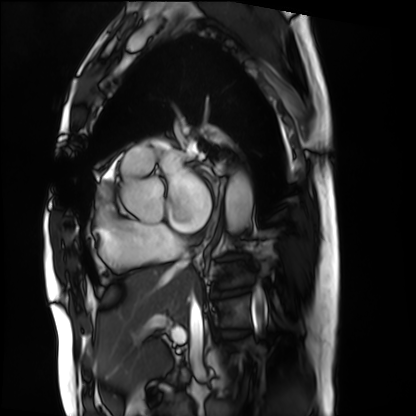
modality: cardiac MRI; subject group: patient.